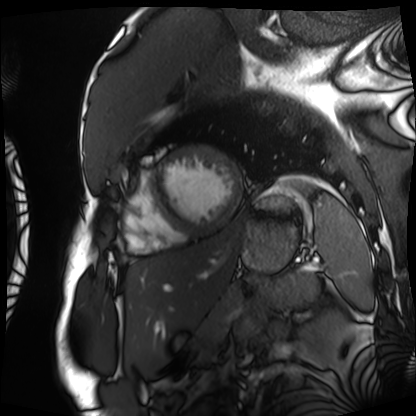
modality: cardiac MRI | subject group: patient.